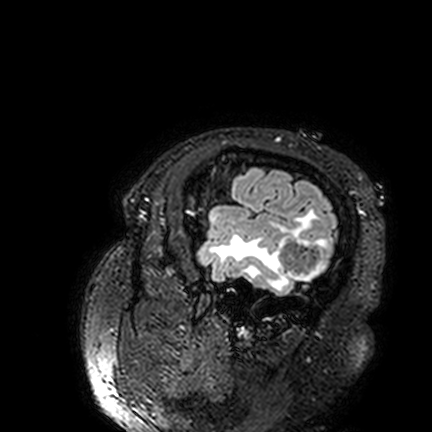
3 Tesla brain MRI. Series: FLAIR VISTA. Study: ring-enhancing brain masses.